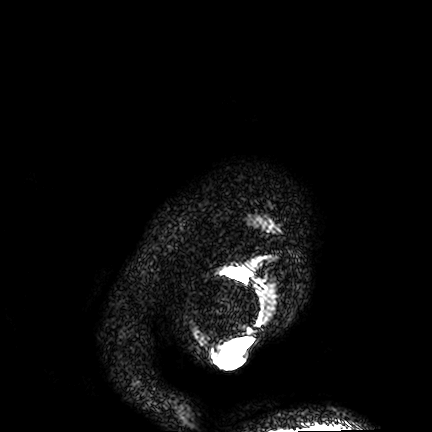
modality = 3 Tesla brain MRI; series = FLAIR VISTA; study = ring-enhancing brain masses.